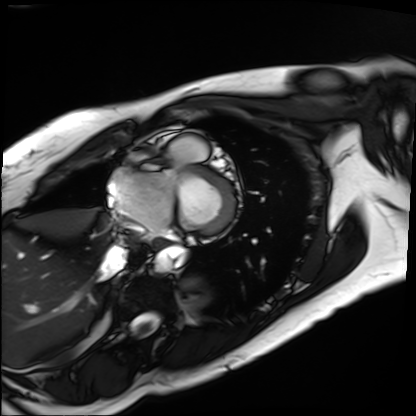
  modality: cardiac MRI
  cohort: patient